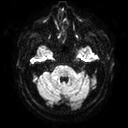
Case summary:
3 Tesla brain MRI. Series: diffusion tensor imaging (medium iso). Study: ring-enhancing brain masses.